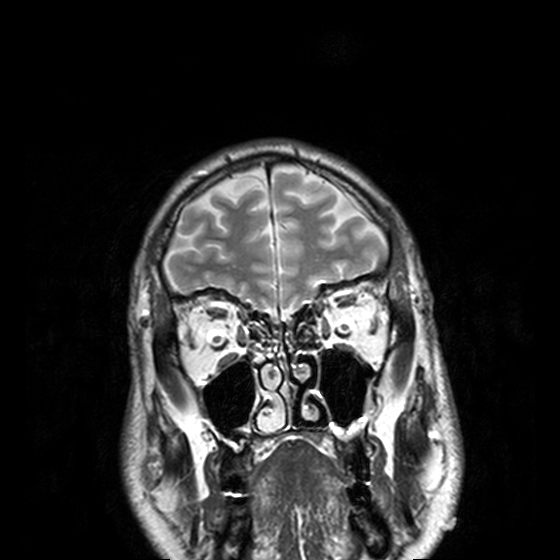
3 Tesla brain MRI. Series: T2-weighted turbo spin echo, 3 mm. Study: ring-enhancing brain masses.